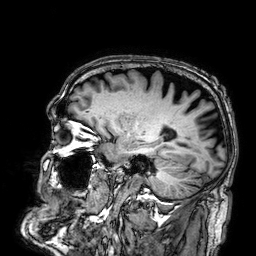
3 Tesla brain MRI. Series: 3D T1-weighted. Study: ring-enhancing brain masses.